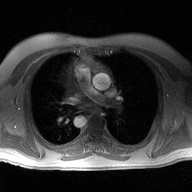
2D phase-contrast cine MRI of the ascending aorta, high-resolution GRAPPA acquisition.